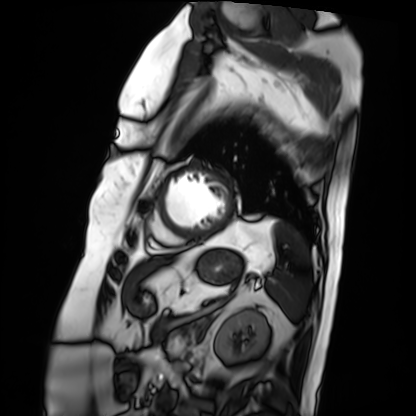
Cardiac MRI. Subject group: patient.